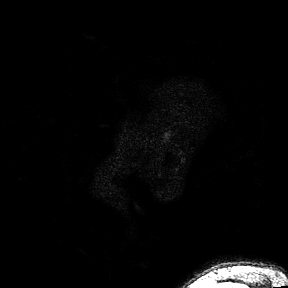
3 Tesla brain MRI.
Series: 3D T1-weighted turbo field echo with SENSE.
Study: ring-enhancing brain masses.